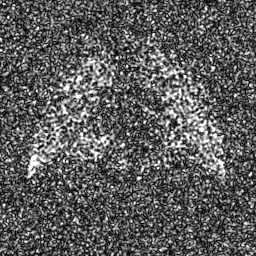
Case summary:
Hyperpolarized 129Xe ventilation MRI of the lungs. SNR level 8 of 8 (the deposit holds this scan as its native image and as seven SNR-degraded versions).